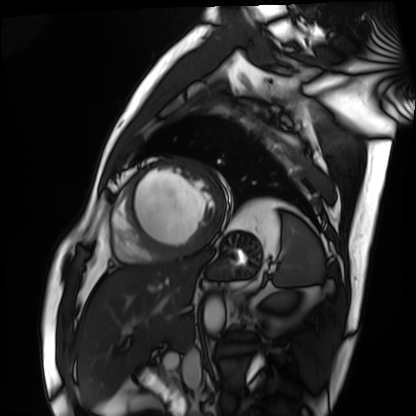
modality=cardiac MRI
subject group=patient